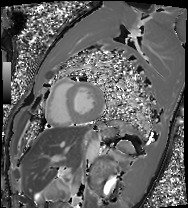
modality=cardiac MRI
subject group=healthy volunteer